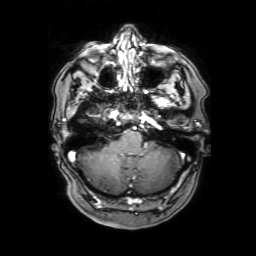
Clinical context: 3 Tesla brain MRI. Series: 3D T1-weighted with SENSE. Study: ring-enhancing brain masses.